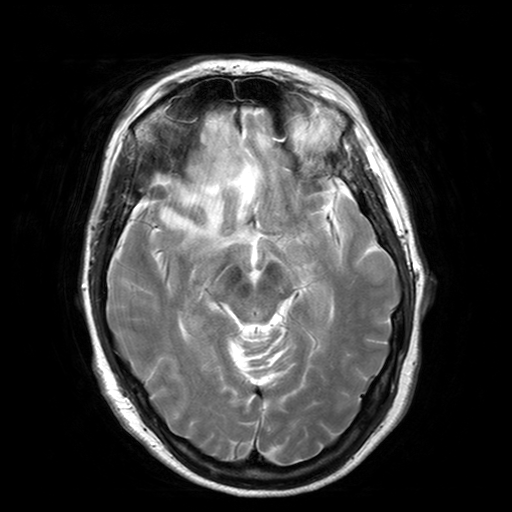
3 Tesla brain MRI. Series: T2-weighted turbo spin echo with SENSE. Study: ring-enhancing brain masses.